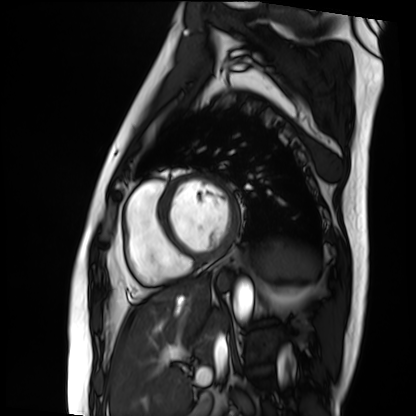
Cardiac MRI. Subject group: patient.